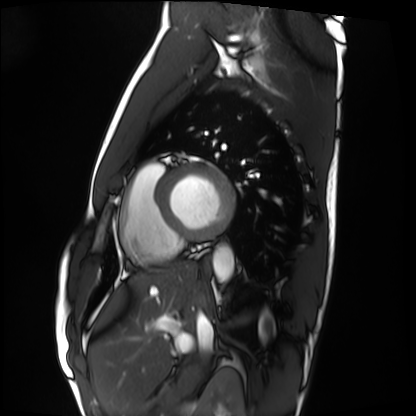
Cardiac MRI. Subject group: healthy volunteer.